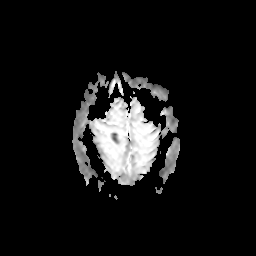
{"modality": {"type": "brain MRI", "field_strength": "3T"}, "study_topic": "ring-enhancing brain masses"}